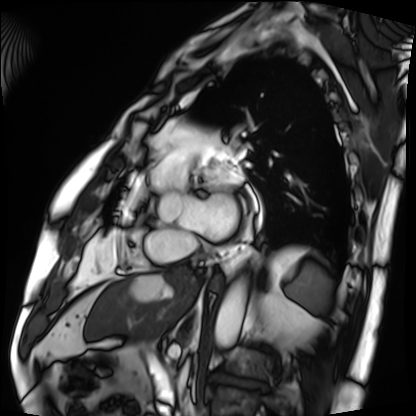
Cardiac MRI. Subject group: patient.